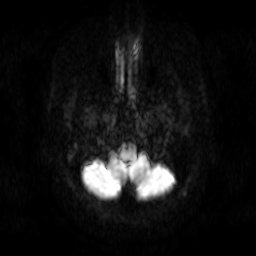
modality:
  type: brain MRI
  field_strength: 3T
series: diffusion-weighted imaging
study_topic: ring-enhancing brain masses